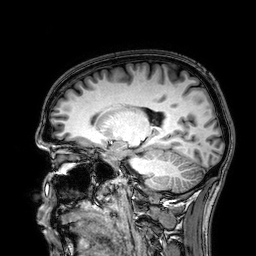
Case summary:
3 Tesla brain MRI. Series: 3D T1-weighted. Study: ring-enhancing brain masses.